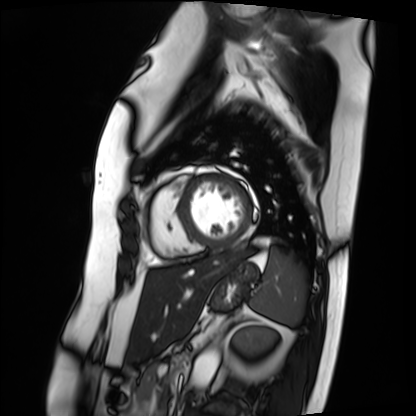
Clinical context: Cardiac MRI. Subject group: patient.